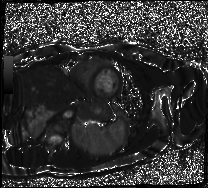
{"modality": "cardiac MR image of the myocardium", "cohort": "healthy volunteer"}